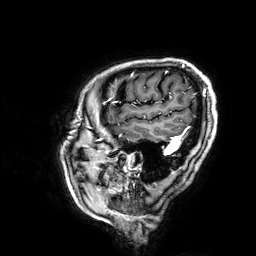
Q: What kind of scan is this?
A: 3 Tesla brain MRI.
Q: Series?
A: 3D T1-weighted.
Study: ring-enhancing brain masses.